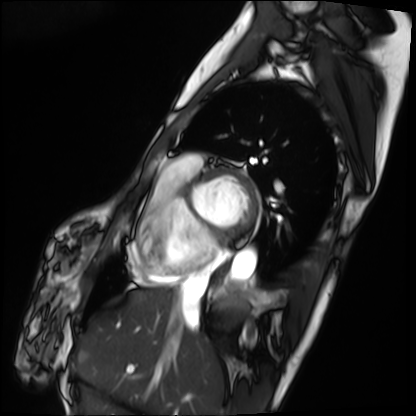
Cardiac MRI. Subject group: patient.